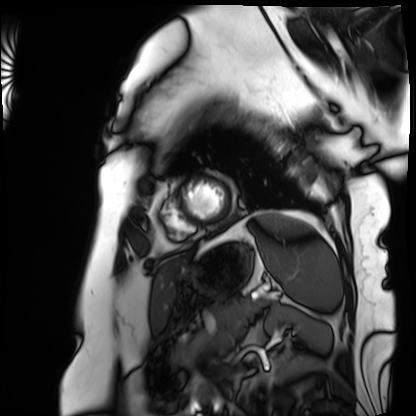
modality: cardiac MRI
subject group: patient